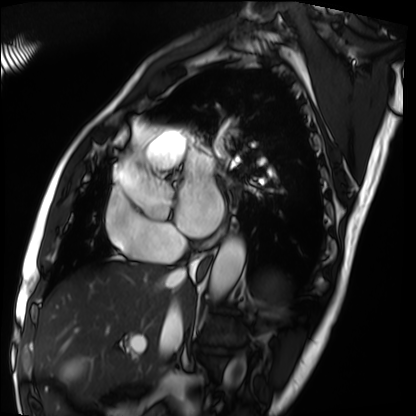
Summary: Cardiac MRI. Subject group: patient.